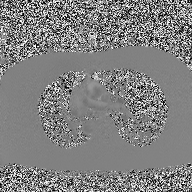
{"modality": {"type": "2D phase-contrast cine MRI", "region": "ascending aorta", "reconstruction": "high-resolution GRAPPA acquisition"}}